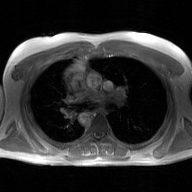
{
  "modality": {
    "type": "2D phase-contrast cine MRI",
    "region": "ascending aorta",
    "reconstruction": "GAN super-resolution reconstruction"
  }
}